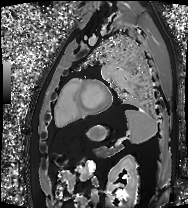
modality: cardiac MRI | subject group: patient.